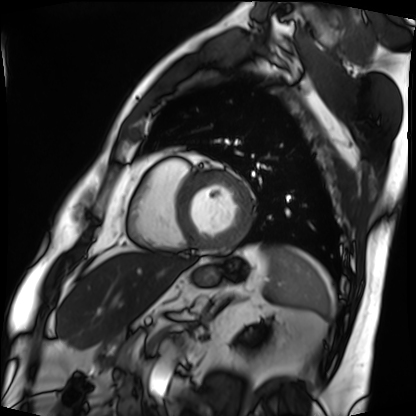
Cardiac MRI. Subject group: patient.